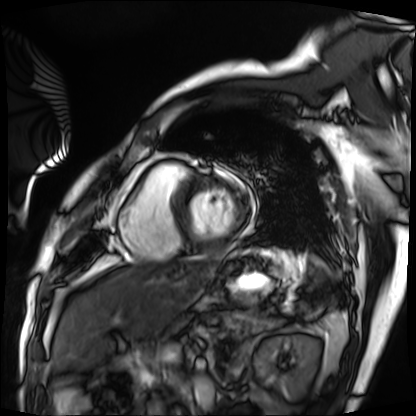
Cardiac MRI.
Subject group: patient.